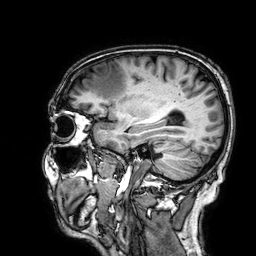
- modality · 3 Tesla brain MRI
- series · 3D T1-weighted
- study · ring-enhancing brain masses